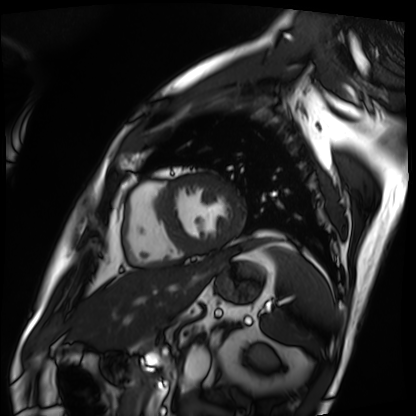
Cardiac MRI.
Subject group: patient.